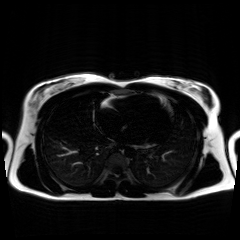
| field | value |
|---|---|
| modality | chemical-shift-encoded cardiac MRI |